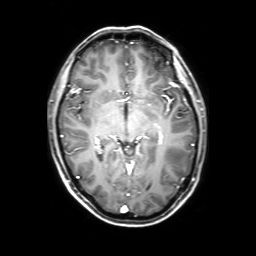
  modality:
    type: brain MRI
    field_strength: 3T
  study_topic: ring-enhancing brain masses